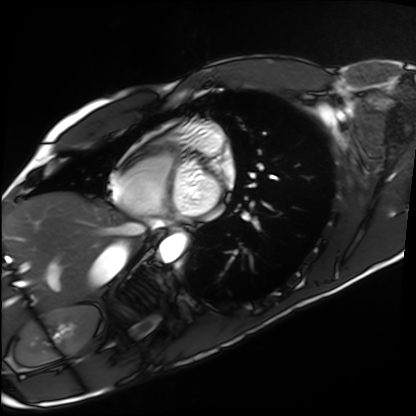
Case summary:
Cardiac MRI. Subject group: healthy volunteer.